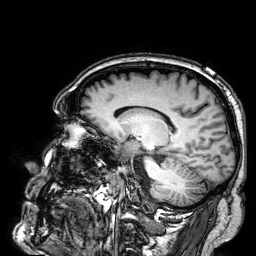
modality: 3 Tesla brain MRI | series: 3D T1-weighted | study: ring-enhancing brain masses.